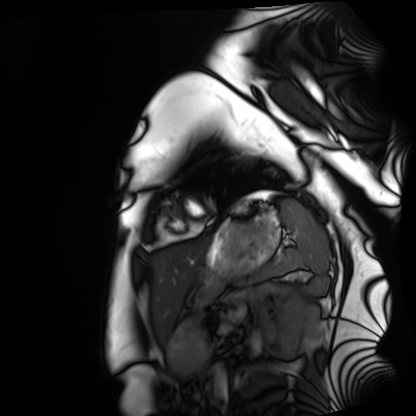
modality: cardiac MRI; subject group: healthy volunteer.